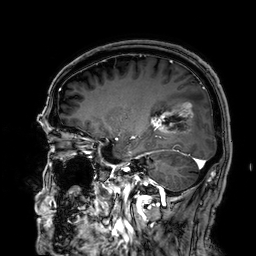
3 Tesla brain MRI. Series: 3D T1-weighted. Study: ring-enhancing brain masses.